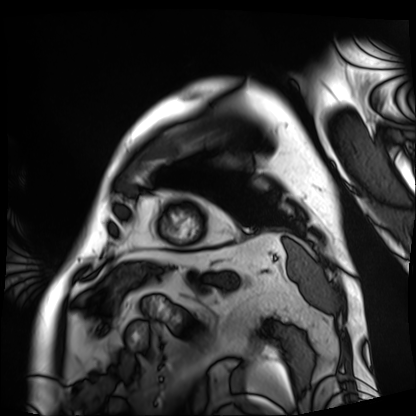
Cardiac MRI.
Subject group: patient.